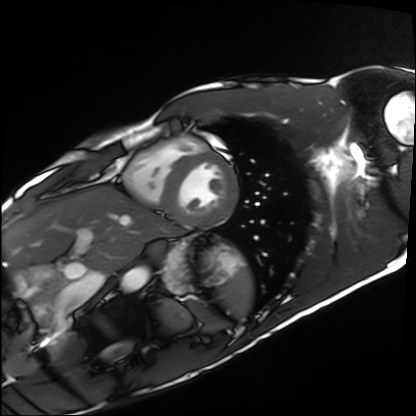
modality: cardiac MRI
subject group: healthy volunteer